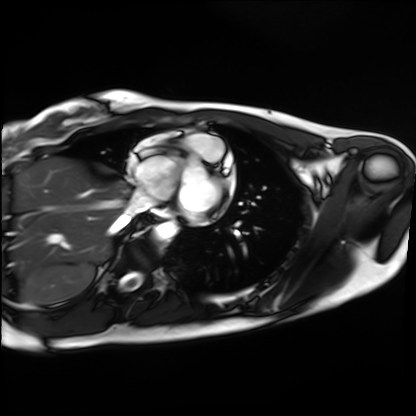
modality = cardiac MRI, subject group = healthy volunteer.